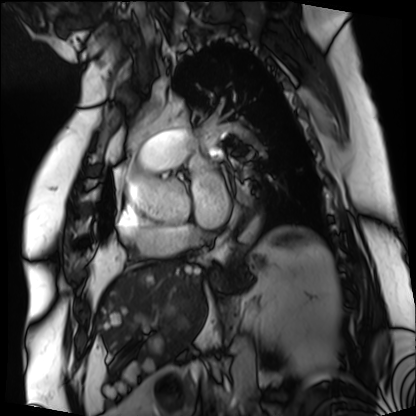
Cardiac MRI.
Subject group: patient.